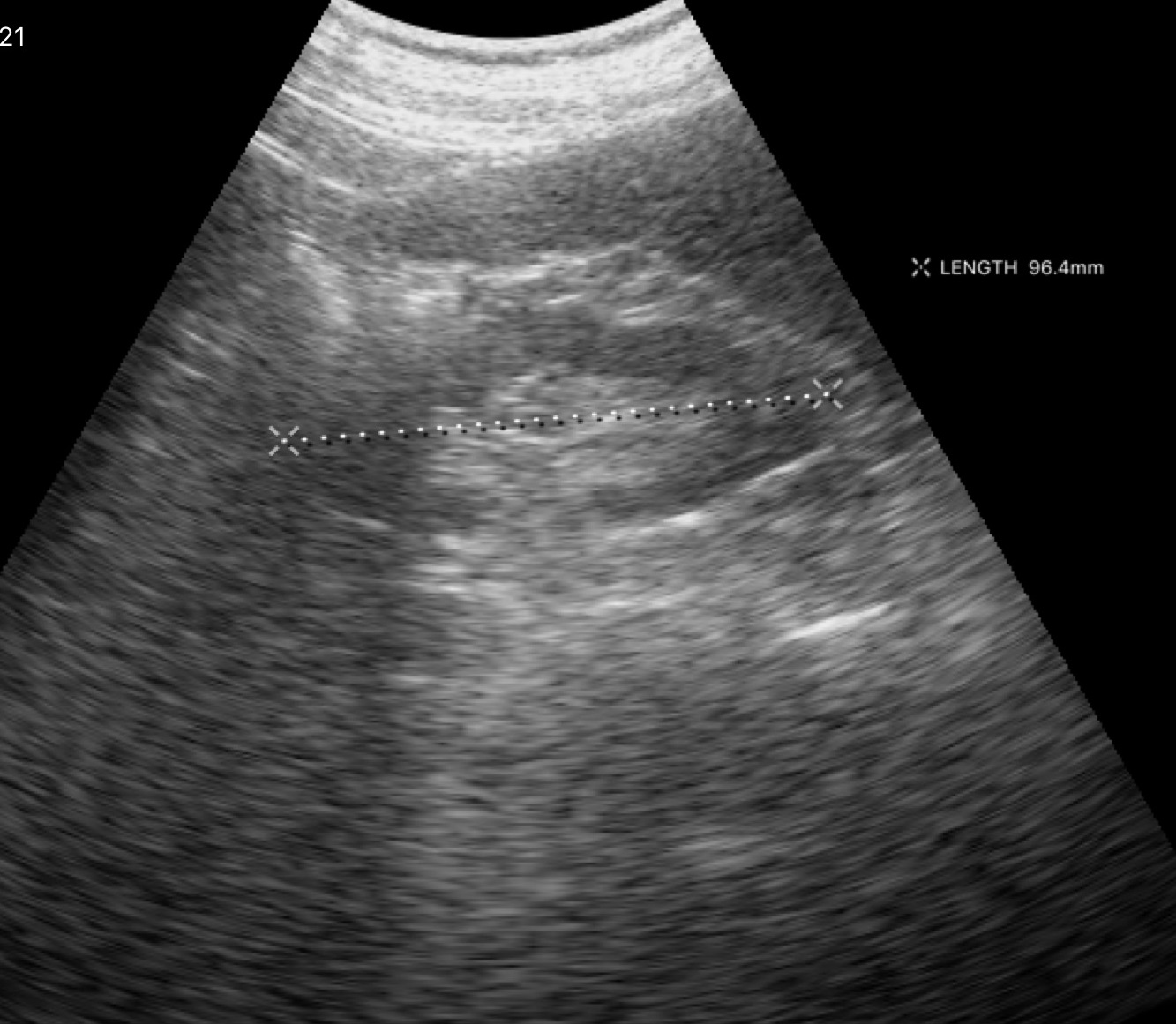
- modality · genitourinary ultrasound